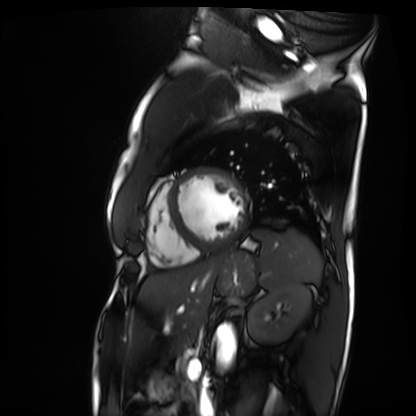
<scan>
  <modality>cardiac MRI</modality>
  <cohort>patient</cohort>
</scan>